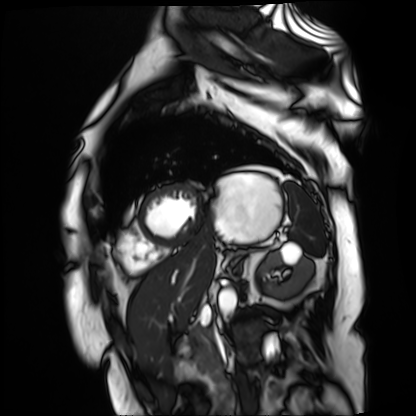
{
  "modality": "cardiac MR image of the myocardium",
  "cohort": "cardiac patient"
}